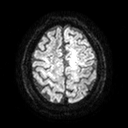
3 Tesla brain MRI. Series: diffusion tensor imaging (medium iso). Study: ring-enhancing brain masses.